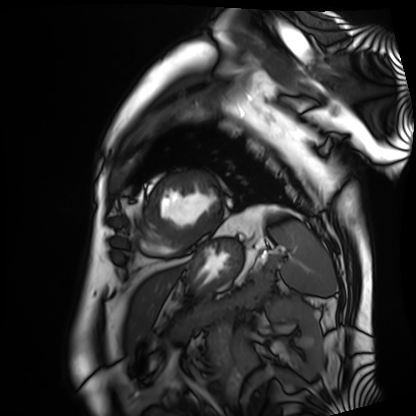
Cardiac MRI. Subject group: patient.